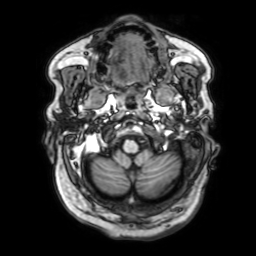
Clinical context: 3 Tesla brain MRI. Series: 3D T1-weighted with SENSE. Study: ring-enhancing brain masses.